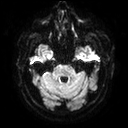
modality: 3 Tesla brain MRI | series: diffusion tensor imaging (medium iso) | study: ring-enhancing brain masses.